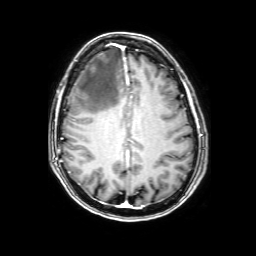
• modality — 3 Tesla brain MRI
• series — 3D T1-weighted with SENSE
• study — ring-enhancing brain masses